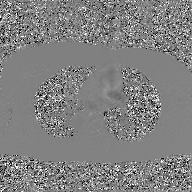
2D phase-contrast cine MRI of the ascending aorta, GAN super-resolution reconstruction.